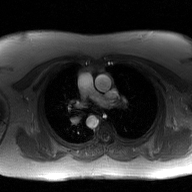
modality=2D phase-contrast cine MRI of the ascending aorta, GAN super-resolution reconstruction